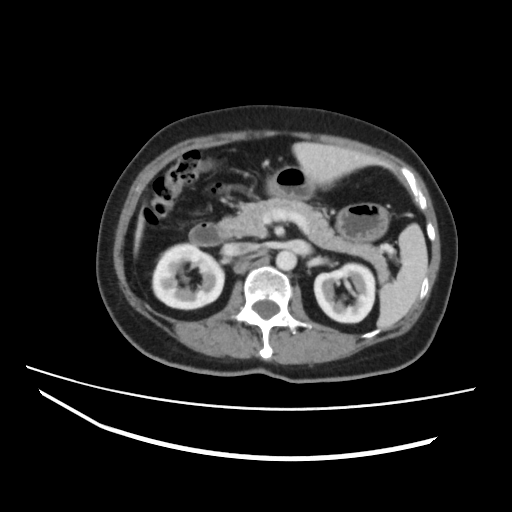
Multiphase abdominal CT, liver, portal venous phase.
Patient: female, age 60.